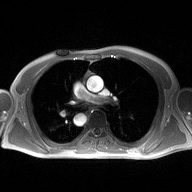
2D phase-contrast cine MRI of the ascending aorta, high-resolution GRAPPA acquisition.